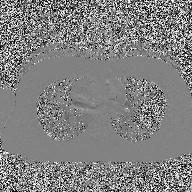
<scan>
  <modality>
    <type>2D phase-contrast cine MRI</type>
    <region>ascending aorta</region>
    <reconstruction>high-resolution GRAPPA acquisition</reconstruction>
  </modality>
</scan>